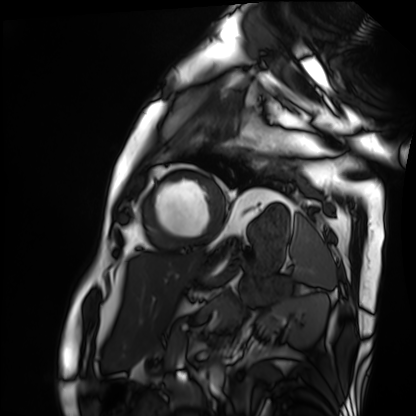
– modality — cardiac MRI
– subject group — patient